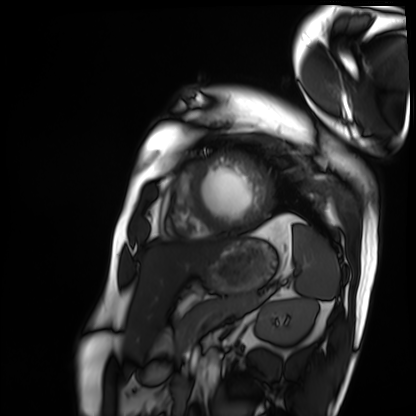
Q: What kind of scan is this?
A: Cardiac MRI.
Subject group: patient.